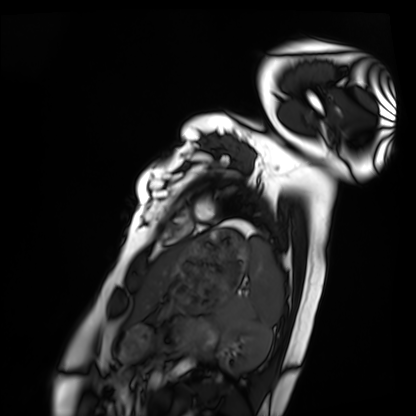
Cardiac MRI. Subject group: healthy volunteer.